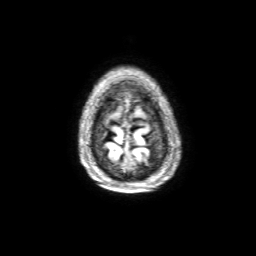
3 Tesla brain MRI.
Study: ring-enhancing brain masses.